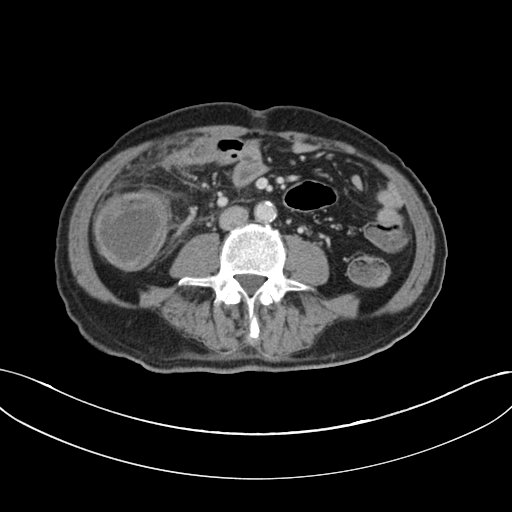
{
  "modality": {
    "type": "multiphase abdominal CT",
    "region": "liver",
    "phase": "portal venous"
  },
  "patient": {
    "sex": "male",
    "age": 60
  }
}